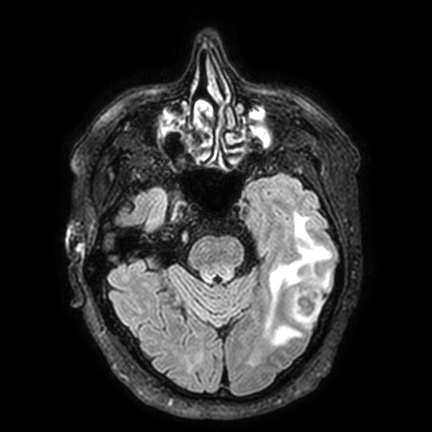
- modality: 3 Tesla brain MRI
- series: FLAIR VISTA with SENSE
- study: ring-enhancing brain masses